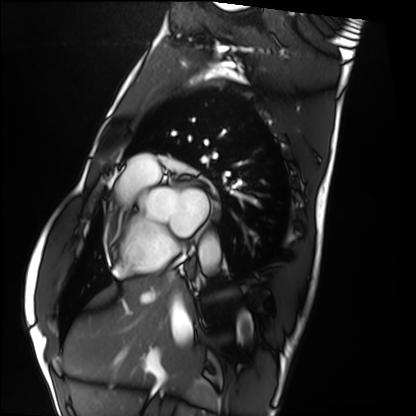
Case:
- modality · cardiac MRI
- subject group · healthy volunteer